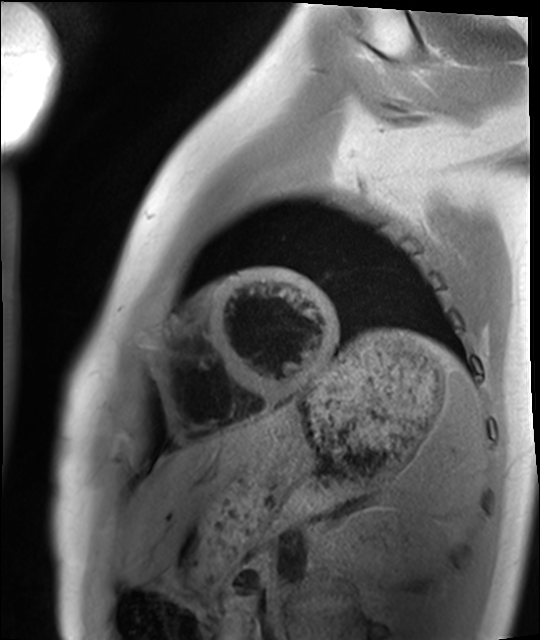
Clinical context: Cardiac MRI. Subject group: healthy volunteer.